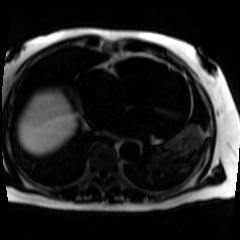
modality = chemical-shift-encoded cardiac MRI.